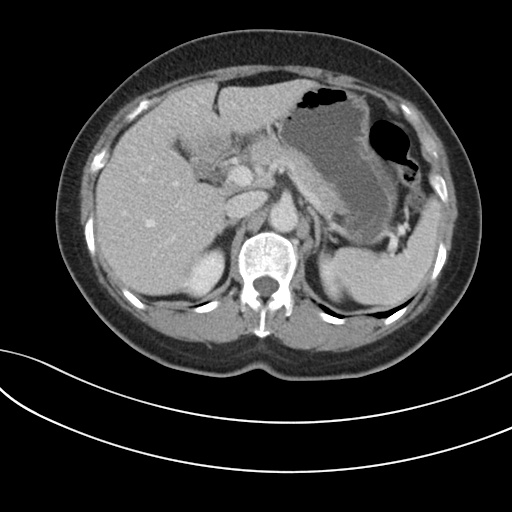
Summary:
Multiphase abdominal CT, liver, portal venous phase. Patient: female, age 60. History: prior chemotherapy.